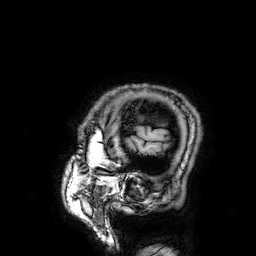
- modality: 3 Tesla brain MRI
- series: 3D T1-weighted
- study: ring-enhancing brain masses